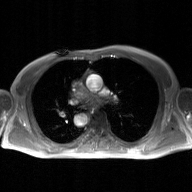
Case:
– modality: 2D phase-contrast cine MRI of the ascending aorta, GAN super-resolution reconstruction